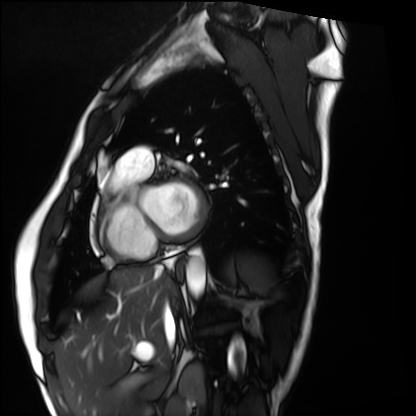
Summary:
Cardiac MRI. Subject group: healthy volunteer.